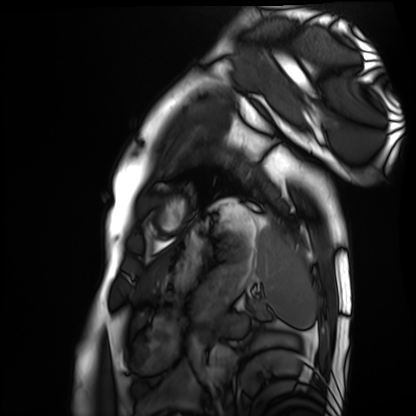
Clinical context: Cardiac MRI. Subject group: healthy volunteer.